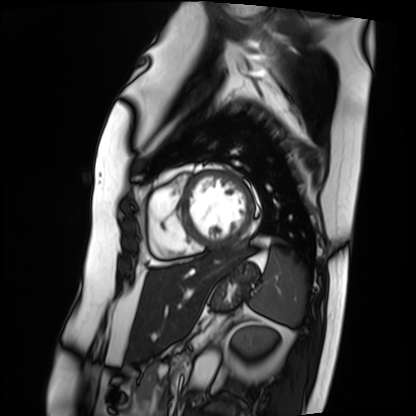
Cardiac MRI.
Subject group: patient.